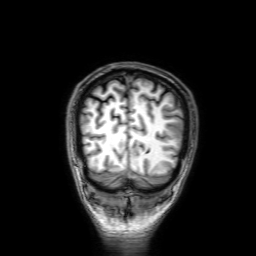
| field | value |
|---|---|
| modality | 3 Tesla brain MRI |
| series | 3D T1-weighted with SENSE |
| study | ring-enhancing brain masses |